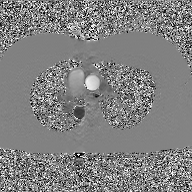
Case:
* modality — 2D phase-contrast cine MRI of the ascending aorta, GAN super-resolution reconstruction